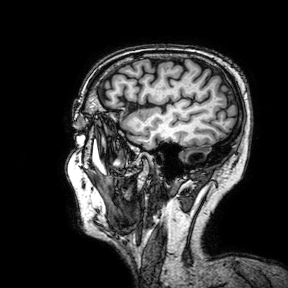
Q: What kind of scan is this?
A: 3 Tesla brain MRI.
Q: Series?
A: 3D T1-weighted turbo field echo with SENSE.
Study: ring-enhancing brain masses.